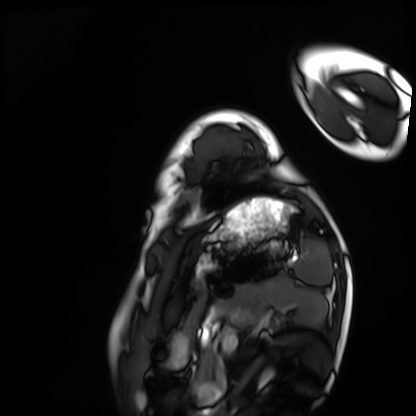
Cardiac MRI. Subject group: healthy volunteer.